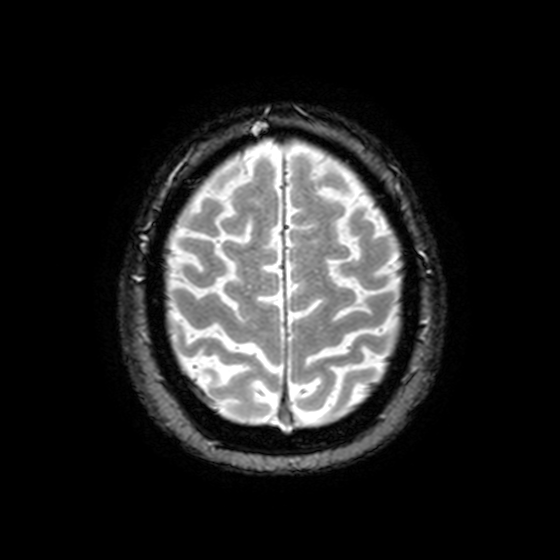
3 Tesla brain MRI. Series: T2-weighted fast field echo with SENSE. Study: ring-enhancing brain masses.